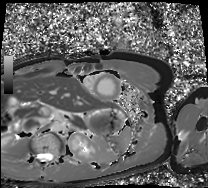
modality = cardiac MRI
subject group = healthy volunteer